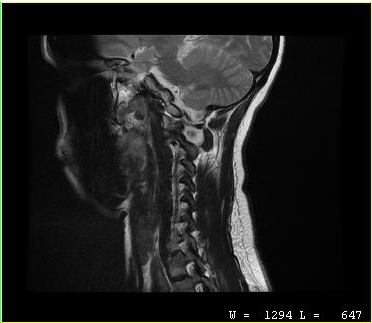
Summary:
MRI of the cervical spine. Study: cervical spondylosis.